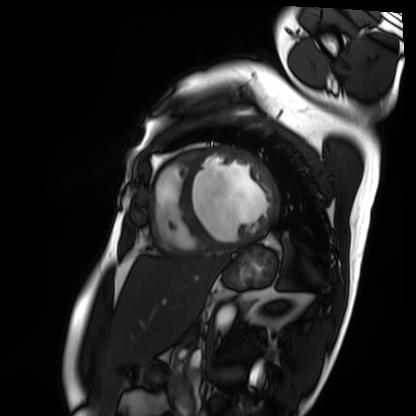
Summary: Cardiac MRI. Subject group: patient.